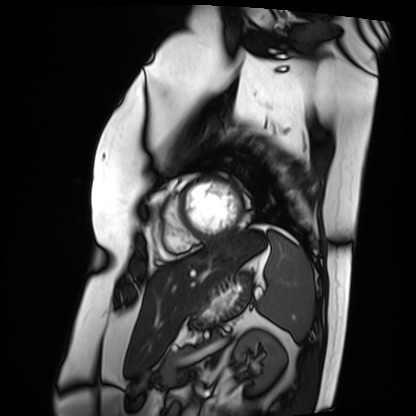
- modality · cardiac MRI
- subject group · patient